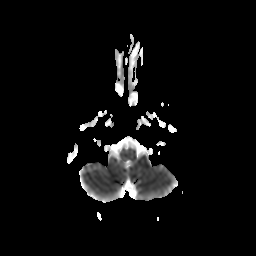
<case>
<modality>
  <type>brain MRI</type>
  <field_strength>3T</field_strength>
</modality>
<series>diffusion-weighted imaging with CLEAR</series>
<study_topic>ring-enhancing brain masses</study_topic>
</case>